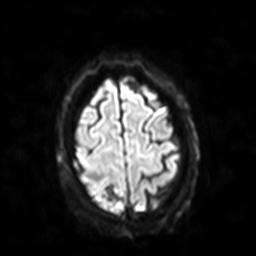
Case summary:
3 Tesla brain MRI. Study: ring-enhancing brain masses.